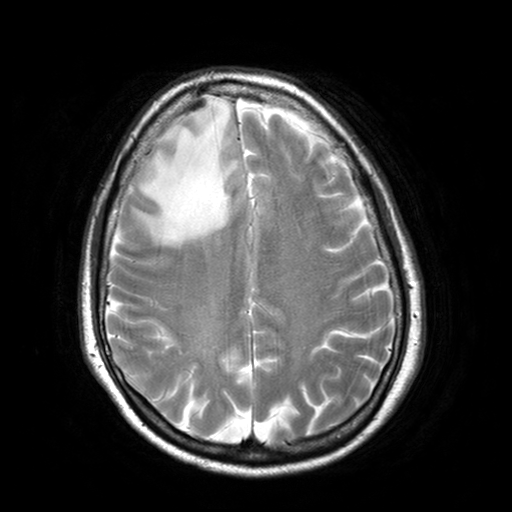
3 Tesla brain MRI. Series: T2-weighted turbo spin echo with SENSE. Study: ring-enhancing brain masses.